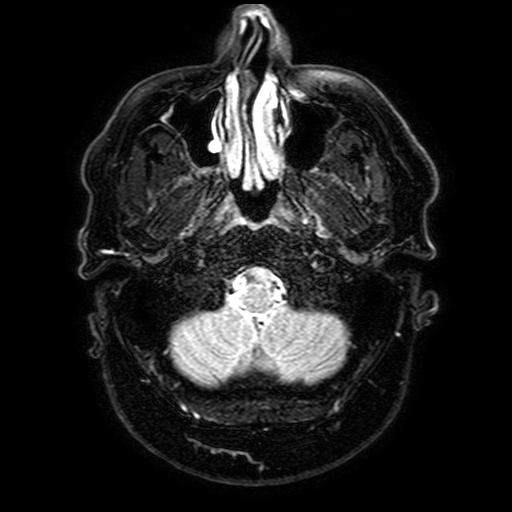
modality: 3 Tesla brain MRI; study: ring-enhancing brain masses.